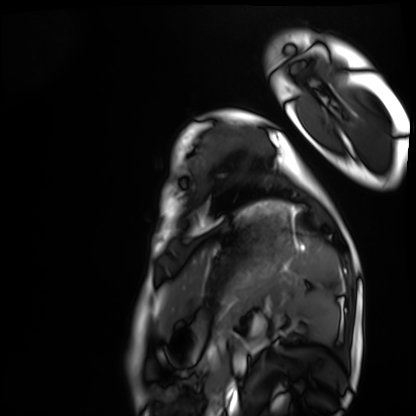
Cardiac MRI. Subject group: healthy volunteer.